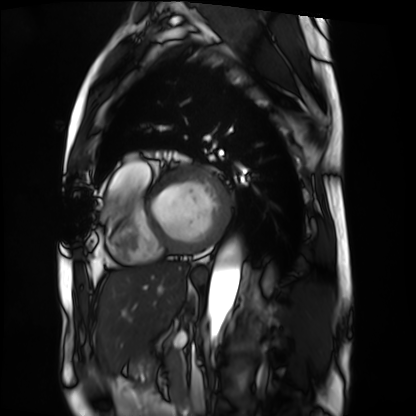
| field | value |
|---|---|
| modality | cardiac MRI |
| subject group | patient |